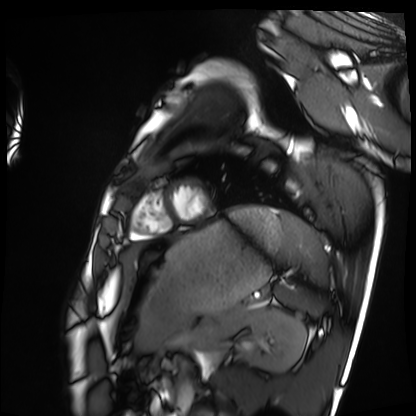
modality: cardiac MRI | subject group: healthy volunteer.